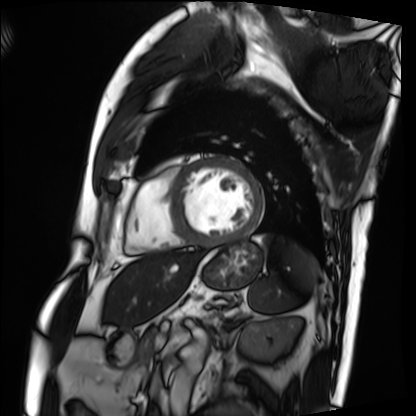
modality=cardiac MRI
subject group=patient